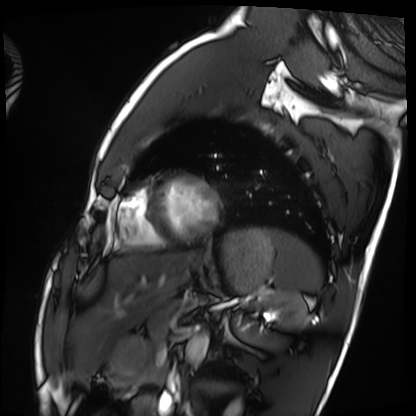
Cardiac MRI.
Subject group: healthy volunteer.